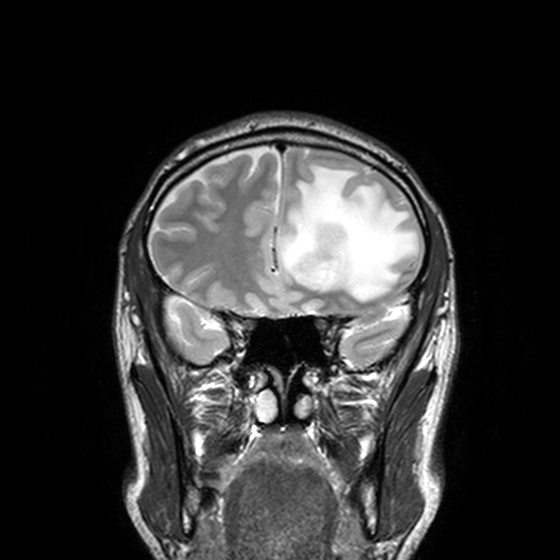
{
  "modality": {
    "type": "brain MRI",
    "field_strength": "3T"
  },
  "series": "T2-weighted turbo spin echo, 3 mm",
  "study_topic": "ring-enhancing brain masses"
}